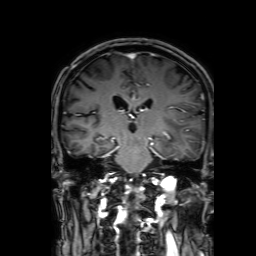
Case summary: 3 Tesla brain MRI. Series: 3D T1-weighted with SENSE. Study: ring-enhancing brain masses.